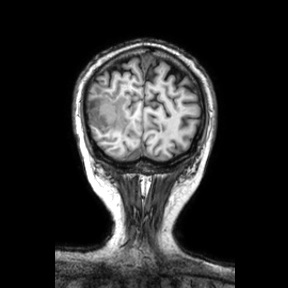
modality:
  type: brain MRI
  field_strength: 3T
series: coronal
study_topic: ring-enhancing brain masses